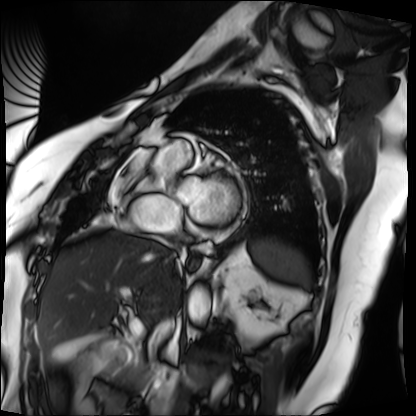
Cardiac MRI.
Subject group: patient.